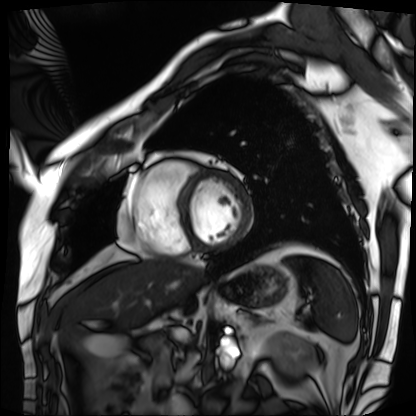
Cardiac MRI.
Subject group: patient.